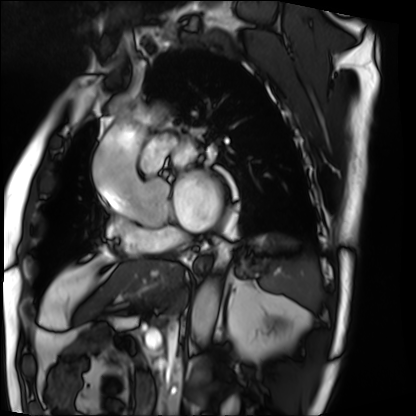
Cardiac MRI.
Subject group: patient.